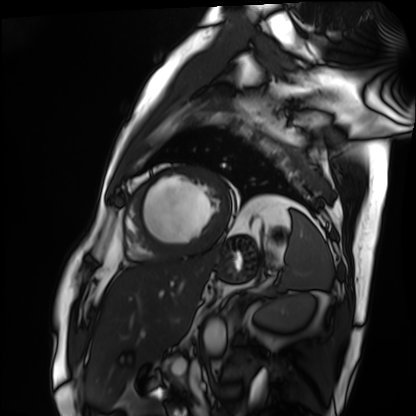
Summary:
Cardiac MRI. Subject group: patient.